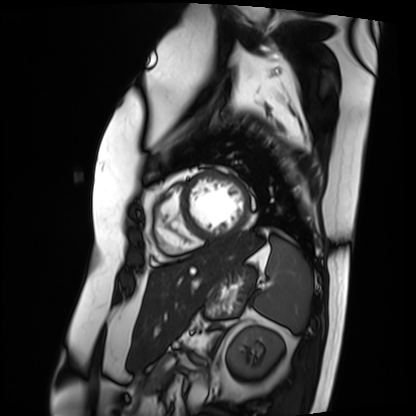
Cardiac MRI.
Subject group: patient.